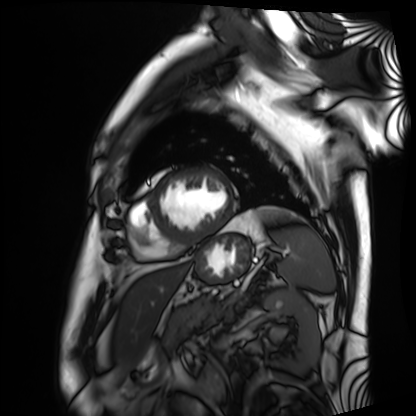
Cardiac MRI. Subject group: patient.